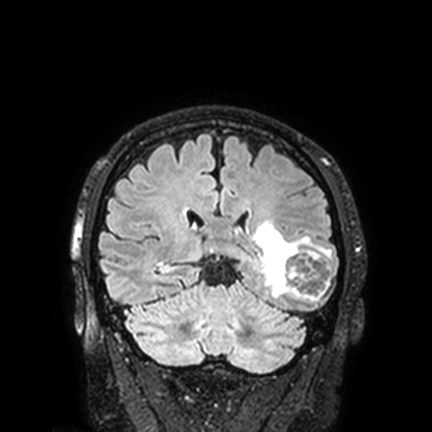
Summary: 3 Tesla brain MRI. Series: FLAIR VISTA with SENSE. Study: ring-enhancing brain masses.